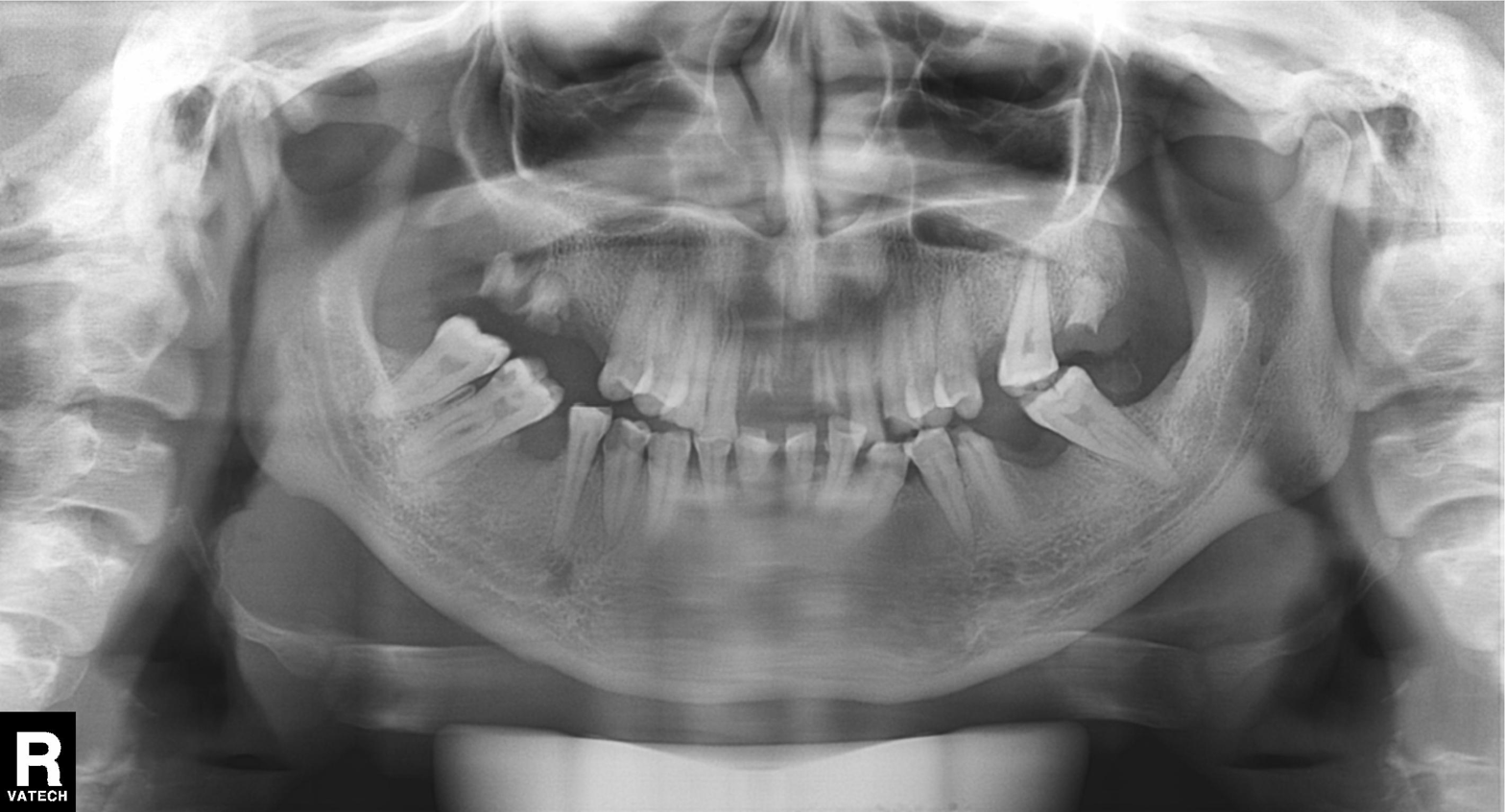
modality: panoramic dental radiograph (orthopantomogram), finding: alveolar bone loss.